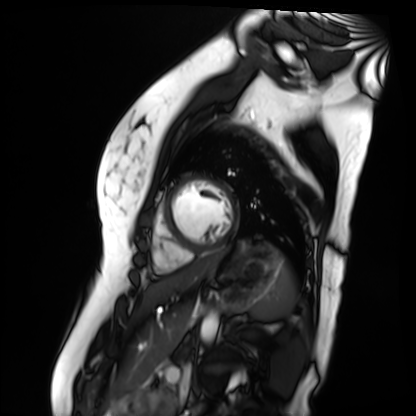
Cardiac MR image of the myocardium. Subject cohort: healthy volunteer.